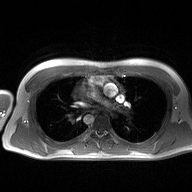
2D phase-contrast cine MRI of the ascending aorta, high-resolution GRAPPA acquisition.